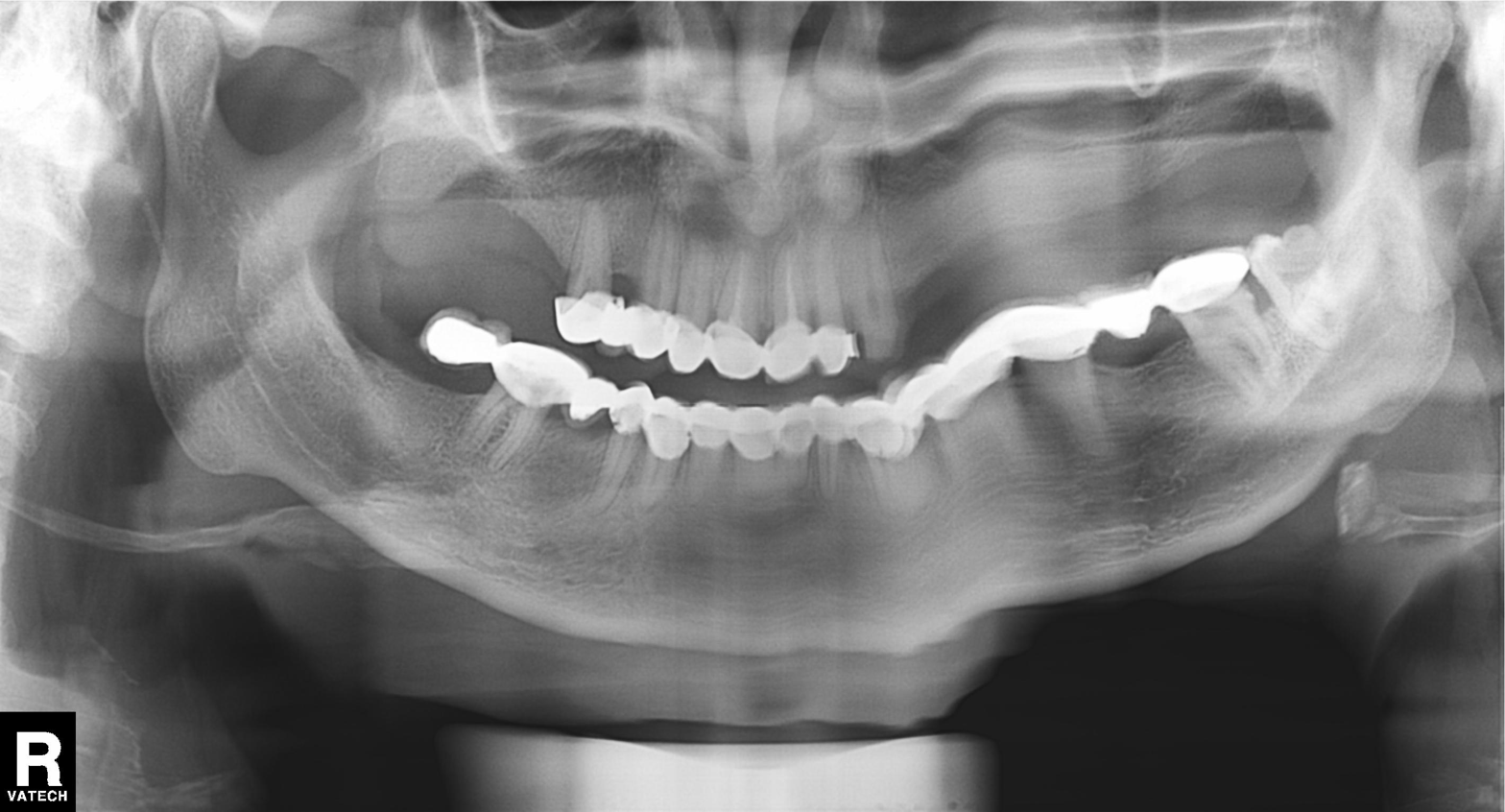
Panoramic dental radiograph (orthopantomogram). Finding: dental caries (cavities).